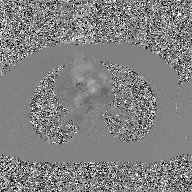
Q: What kind of scan is this?
A: 2D phase-contrast cine MRI of the ascending aorta, GAN super-resolution reconstruction.